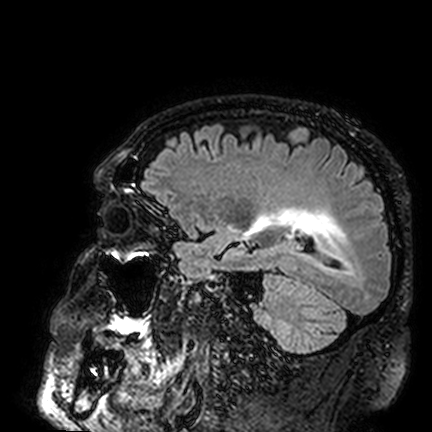
Case summary: 3 Tesla brain MRI. Series: FLAIR VISTA. Study: ring-enhancing brain masses.